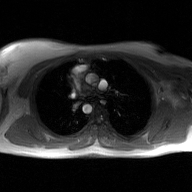
{"modality": {"type": "2D phase-contrast cine MRI", "region": "ascending aorta", "reconstruction": "GAN super-resolution reconstruction"}}